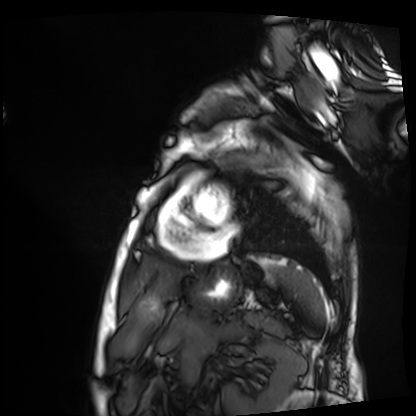
Summary: Cardiac MRI. Subject group: patient.